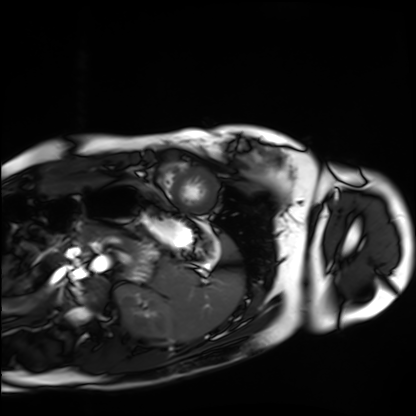
  modality: cardiac MRI
  cohort: healthy volunteer